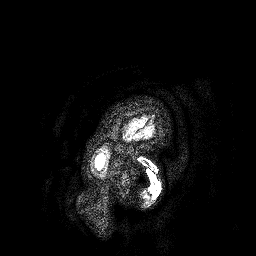
modality = 3 Tesla brain MRI | series = 3D T1-weighted turbo field echo | study = ring-enhancing brain masses.